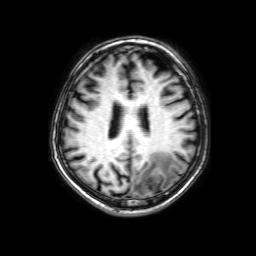
Case summary: 3 Tesla brain MRI. Series: 3D T1-weighted with SENSE. Study: ring-enhancing brain masses.